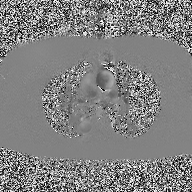
2D phase-contrast cine MRI of the ascending aorta, high-resolution GRAPPA acquisition.